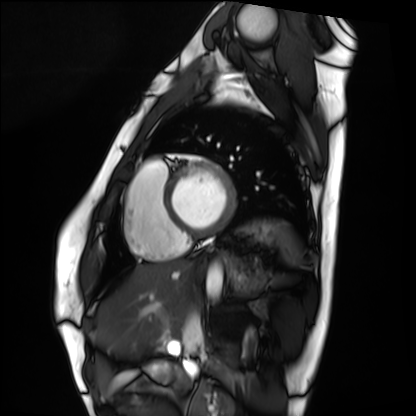
Q: What kind of scan is this?
A: Cardiac MRI.
Subject group: healthy volunteer.